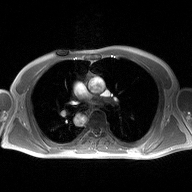
2D phase-contrast cine MRI of the ascending aorta, high-resolution GRAPPA acquisition.